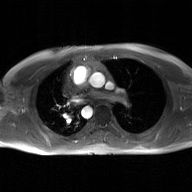
modality: 2D phase-contrast cine MRI of the ascending aorta, GAN super-resolution reconstruction